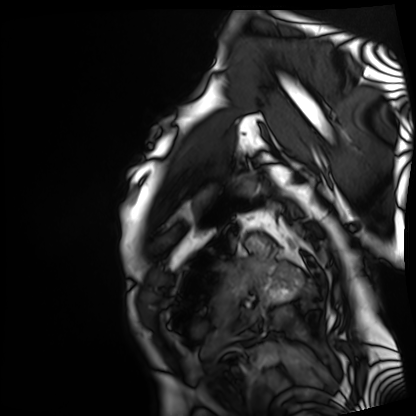
{
  "modality": "cardiac MRI",
  "cohort": "patient"
}